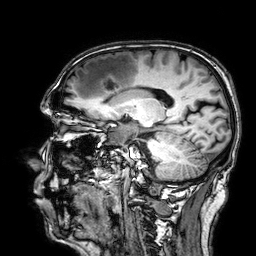
Clinical context: 3 Tesla brain MRI. Series: 3D T1-weighted. Study: ring-enhancing brain masses.